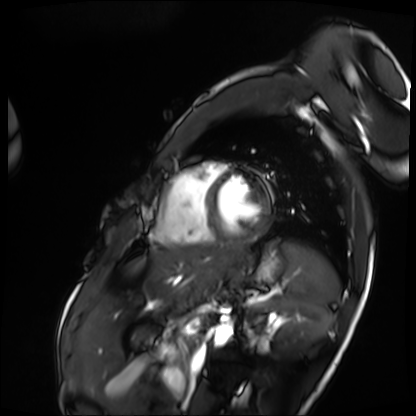
Summary: Cardiac MRI. Subject group: patient.